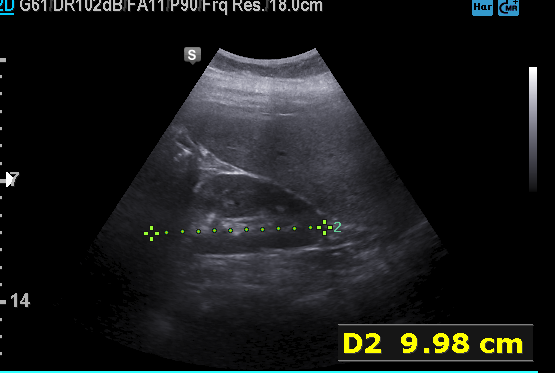
modality: genitourinary ultrasound